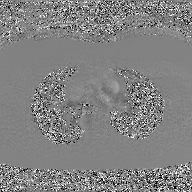
Summary:
2D phase-contrast cine MRI of the ascending aorta, GAN super-resolution reconstruction.